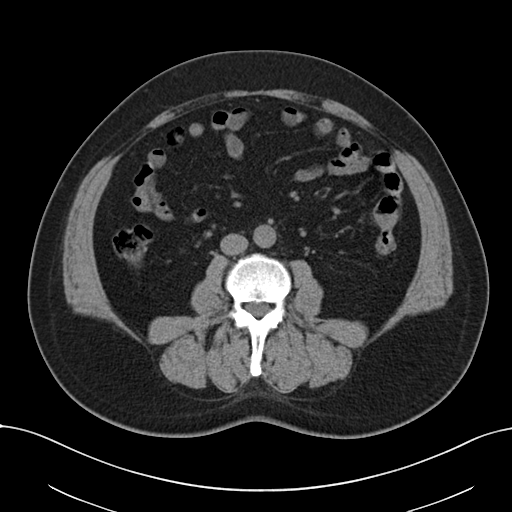
Case:
* modality — multiphase abdominal CT, liver, non-contrast phase
* patient — male, age 54
* history — viral hepatitis